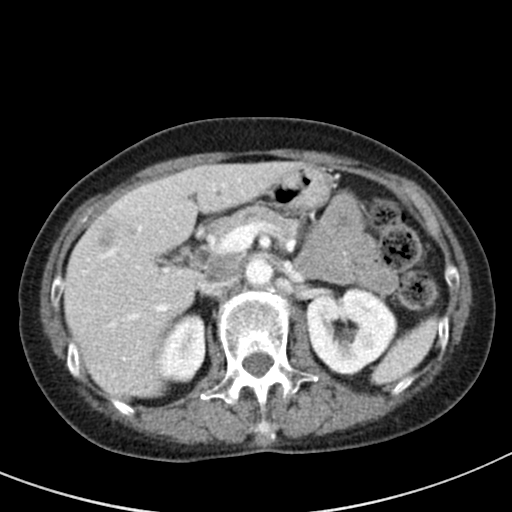
Multiphase abdominal CT, liver, portal venous phase. Patient: female, age 64.